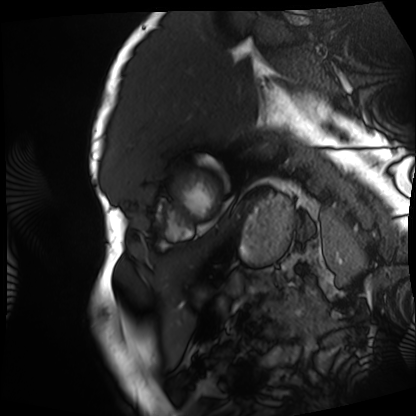
Clinical context:
Cardiac MRI. Subject group: patient.